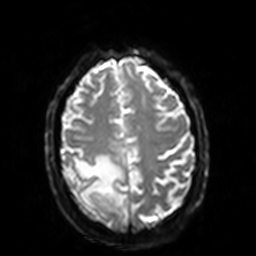
– modality — 3 Tesla brain MRI
– series — diffusion-weighted imaging with SENSE (WIP)
– study — ring-enhancing brain masses